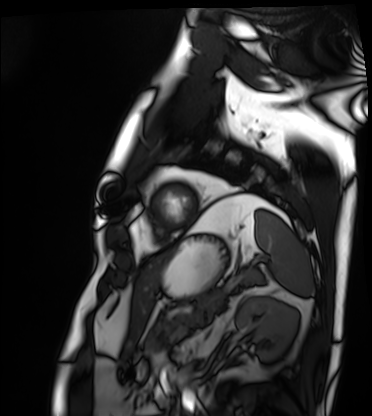
Cardiac MRI.
Subject group: patient.